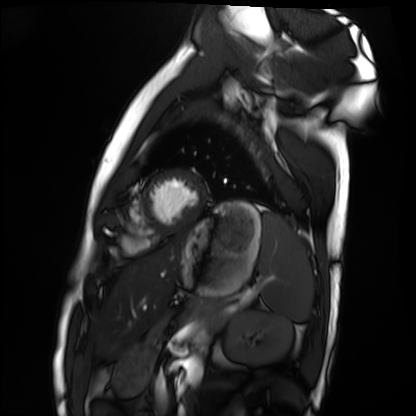
Cardiac MRI.
Subject group: healthy volunteer.